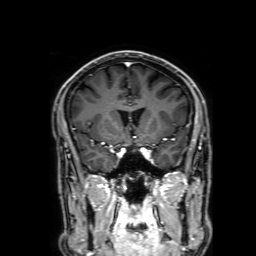
modality: 3 Tesla brain MRI; series: 3D T1-weighted with SENSE; study: ring-enhancing brain masses.